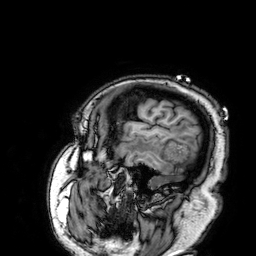
{"modality": {"type": "brain MRI", "field_strength": "3T"}, "series": "3D T1-weighted", "study_topic": "ring-enhancing brain masses"}